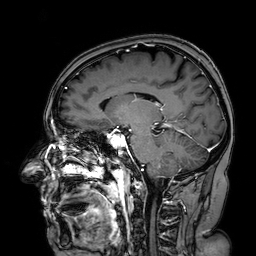
Case:
• modality · 3 Tesla brain MRI
• series · 3D T1-weighted turbo field echo with SENSE
• study · ring-enhancing brain masses